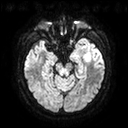
3 Tesla brain MRI. Study: ring-enhancing brain masses.